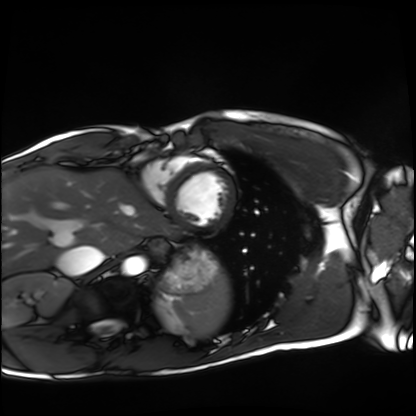
Summary:
Cardiac MRI. Subject group: healthy volunteer.